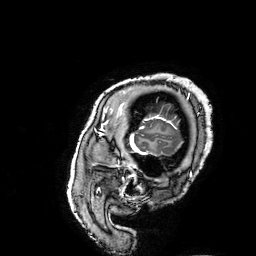
3 Tesla brain MRI.
Series: 3D T1-weighted turbo field echo with SENSE.
Study: ring-enhancing brain masses.